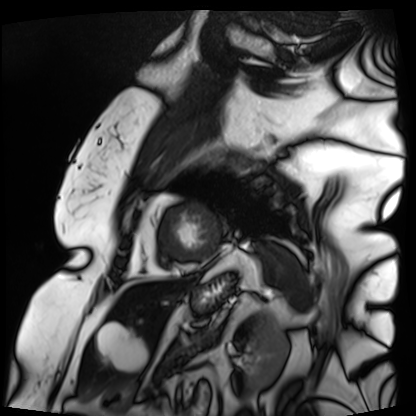
Summary:
Cardiac MRI. Subject group: patient.